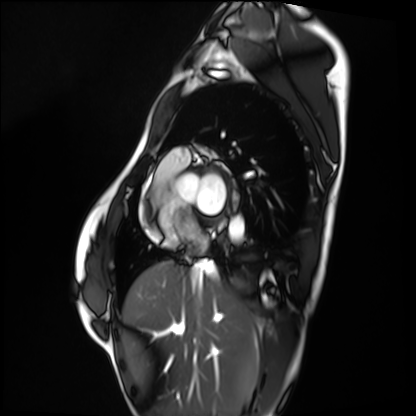
| field | value |
|---|---|
| modality | cardiac MRI |
| subject group | healthy volunteer |